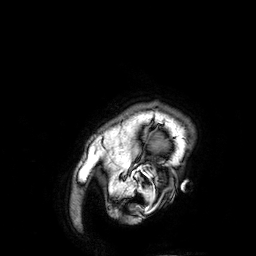
3 Tesla brain MRI.
Series: 3D T1-weighted.
Study: ring-enhancing brain masses.